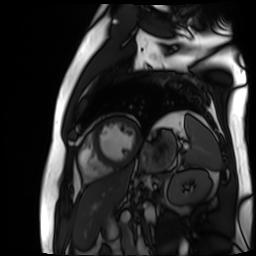
Case:
– modality: cardiac MR image of the myocardium
– subject cohort: cardiac patient